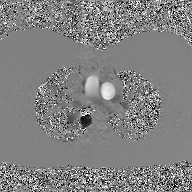
Q: What kind of scan is this?
A: 2D phase-contrast cine MRI of the ascending aorta, GAN super-resolution reconstruction.